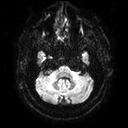
<case>
<modality>
  <type>brain MRI</type>
  <field_strength>3T</field_strength>
</modality>
<study_topic>ring-enhancing brain masses</study_topic>
</case>